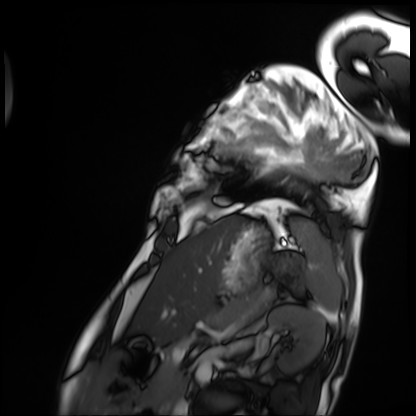
Cardiac MRI. Subject group: patient.